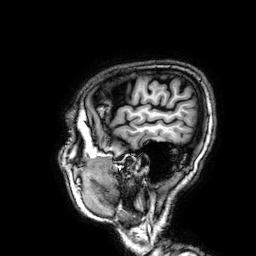
Clinical context:
3 Tesla brain MRI. Series: 3D T1-weighted. Study: ring-enhancing brain masses.